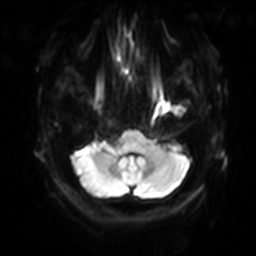
Q: What kind of scan is this?
A: 3 Tesla brain MRI.
Q: Series?
A: Diffusion-weighted imaging with SENSE (WIP).
Study: ring-enhancing brain masses.